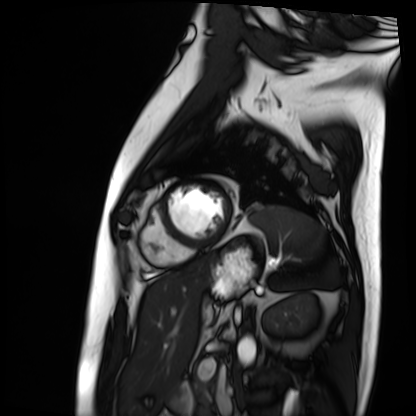
Cardiac MRI. Subject group: patient.